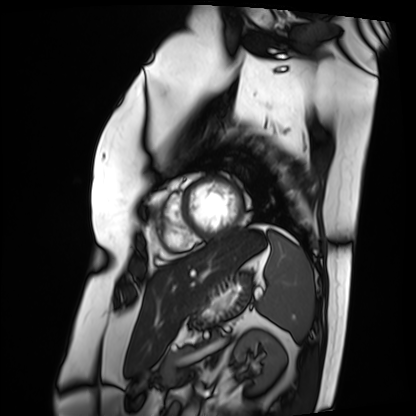
| field | value |
|---|---|
| modality | cardiac MRI |
| subject group | patient |